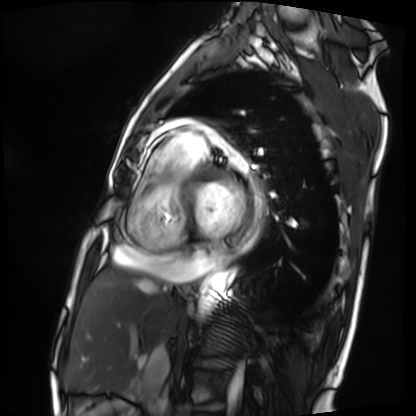
• modality · cardiac MRI
• subject group · patient